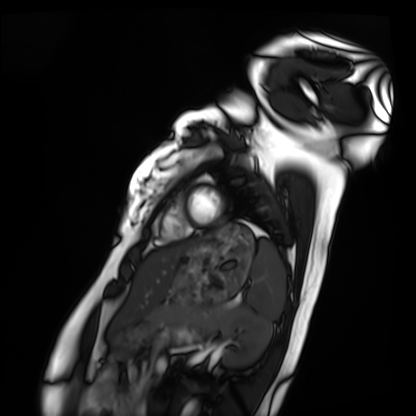
Case summary: Cardiac MRI. Subject group: healthy volunteer.